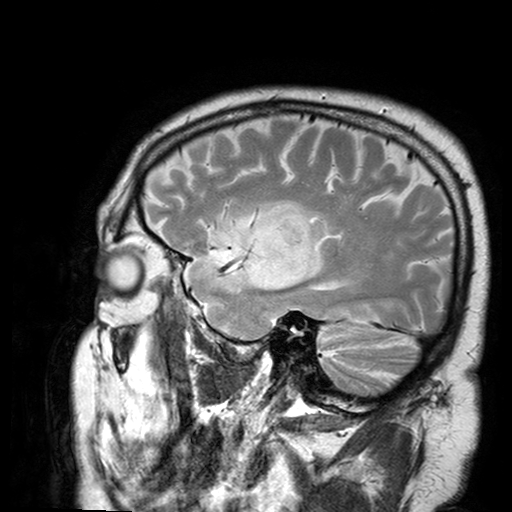
modality = 3 Tesla brain MRI
series = T2-weighted turbo spin echo with SENSE
study = ring-enhancing brain masses